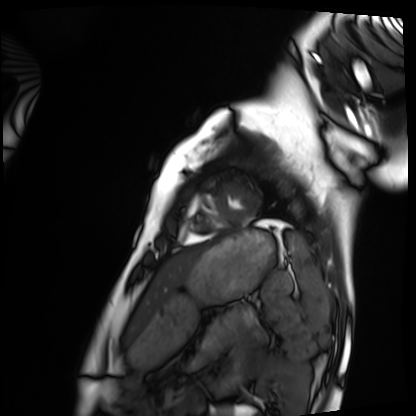
  modality: cardiac MRI
  cohort: healthy volunteer